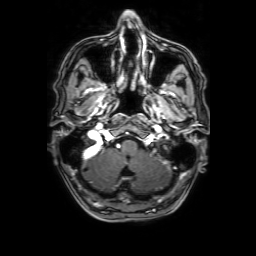
modality:
  type: brain MRI
  field_strength: 3T
series: 3D T1-weighted with SENSE
study_topic: ring-enhancing brain masses